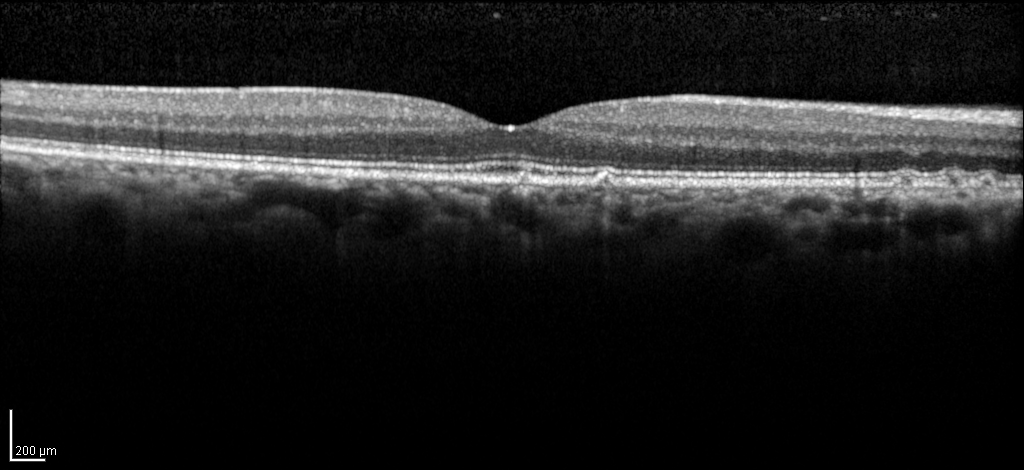
| feature | finding |
|---|---|
| modality | spectral-domain optical coherence tomography (SD-OCT) of the macula |
| subject | female, age 60, right eye |
| cohort | diabetic subject |
| ETDRS-grid retinal thickness (μm) | central 285, inner temporal 328, inner nasal 340, inner superior 338, inner inferior 330, outer temporal 276, outer nasal 305, outer superior 305, outer inferior 280 |